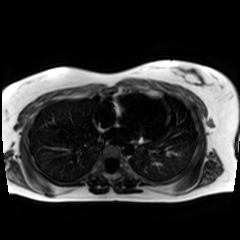
Q: What kind of scan is this?
A: Chemical-shift-encoded cardiac MRI.